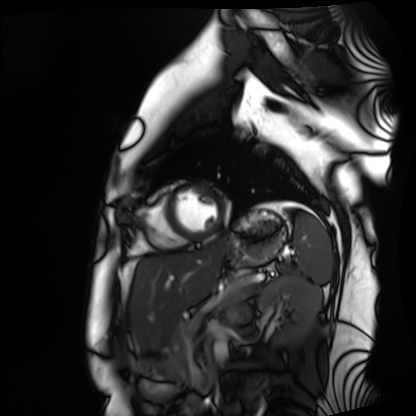
| field | value |
|---|---|
| modality | cardiac MRI |
| subject group | healthy volunteer |